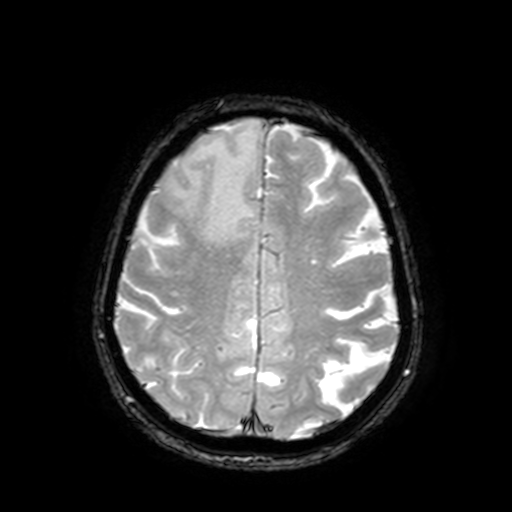
3 Tesla brain MRI. Series: T2-weighted fast field echo with SENSE. Study: ring-enhancing brain masses.